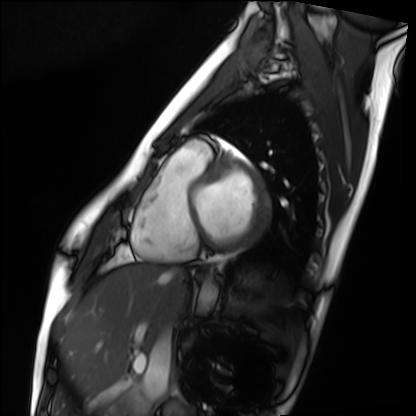
Cardiac MRI. Subject group: healthy volunteer.